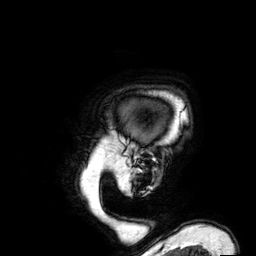
modality:
  type: brain MRI
  field_strength: 3T
series: 3D T1-weighted
study_topic: ring-enhancing brain masses